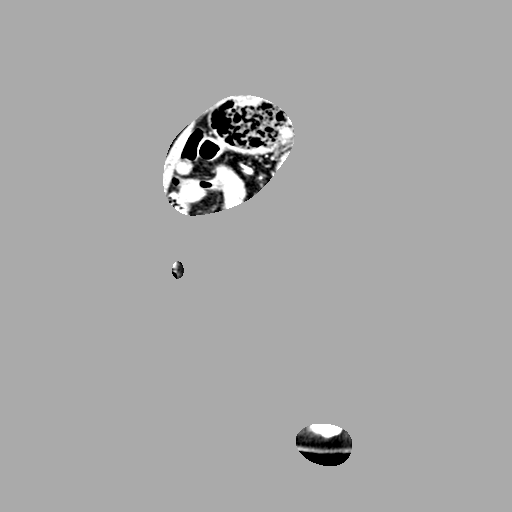
<case>
<modality>
  <type>multiphase abdominal CT</type>
  <region>liver</region>
  <phase>arterial</phase>
</modality>
<patient>
  <sex>male</sex>
  <age>75</age>
</patient>
<history>prior chemotherapy</history>
</case>